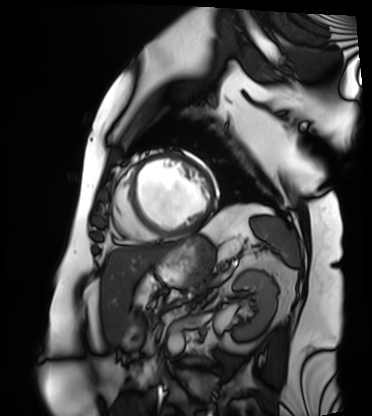
modality: cardiac MRI; subject group: patient.